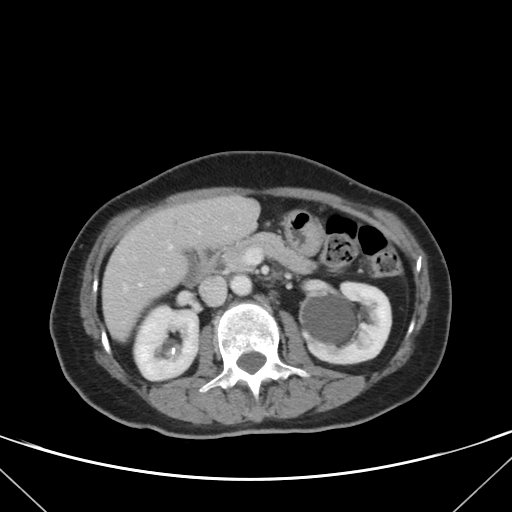
Clinical context:
Multiphase abdominal CT, liver, portal venous phase. Patient: female, age 62.